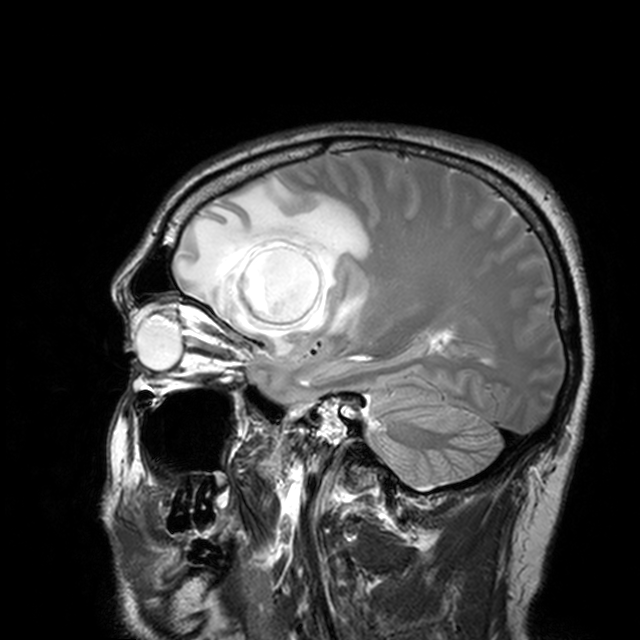
3 Tesla brain MRI. Series: T2-weighted turbo spin echo with CLEAR. Study: ring-enhancing brain masses.